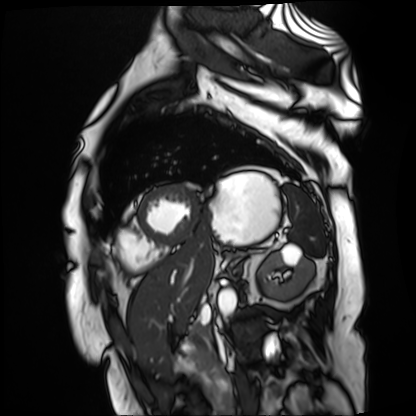
Case summary:
Cardiac MR image of the myocardium. Subject cohort: cardiac patient.